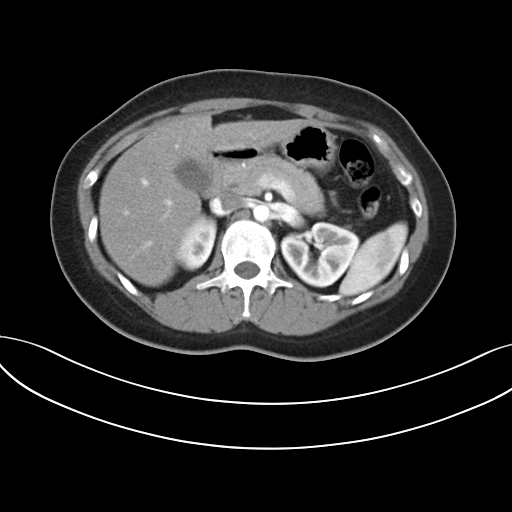
| field | value |
|---|---|
| modality | multiphase abdominal CT, liver, arterial phase |
| patient | female, age 30 |
| history | prior chemotherapy |